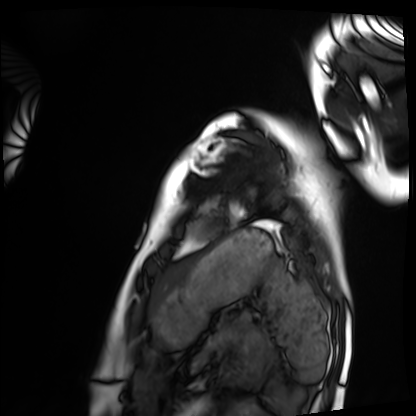
  modality: cardiac MRI
  cohort: healthy volunteer